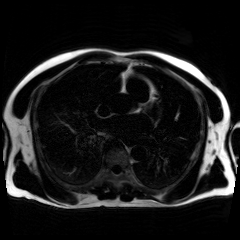
Summary:
Chemical-shift-encoded cardiac MRI.